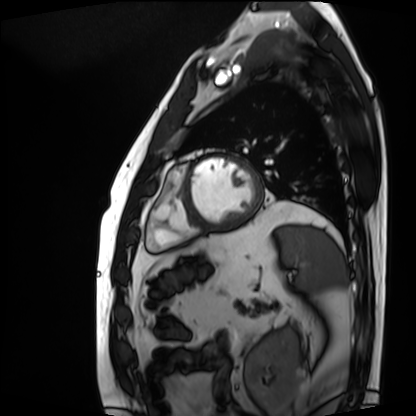
Cardiac MRI. Subject group: patient.